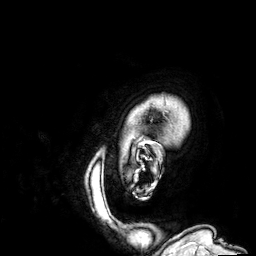
modality:
  type: brain MRI
  field_strength: 3T
series: 3D T1-weighted
study_topic: ring-enhancing brain masses